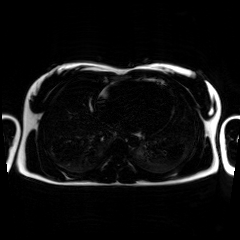
Clinical context:
Chemical-shift-encoded cardiac MRI.